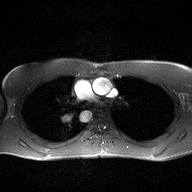
{
  "modality": {
    "type": "2D phase-contrast cine MRI",
    "region": "ascending aorta",
    "reconstruction": "high-resolution GRAPPA acquisition"
  }
}